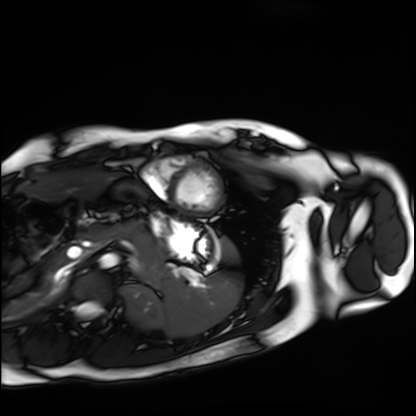
| field | value |
|---|---|
| modality | cardiac MRI |
| subject group | healthy volunteer |